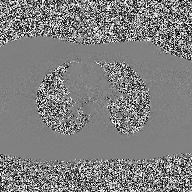
– modality · 2D phase-contrast cine MRI of the ascending aorta